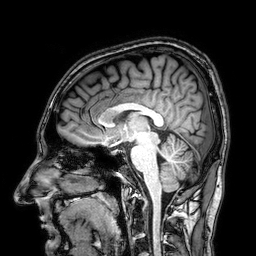
modality: 3 Tesla brain MRI | series: 3D T1-weighted | study: ring-enhancing brain masses.